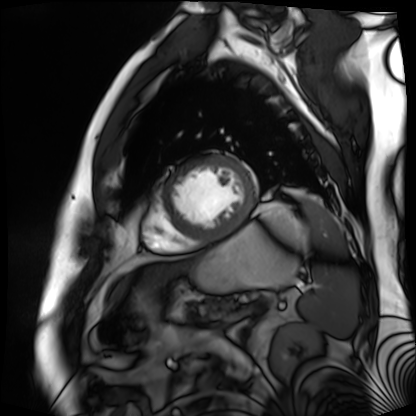
Summary:
Cardiac MR image of the myocardium. Subject cohort: cardiac patient.